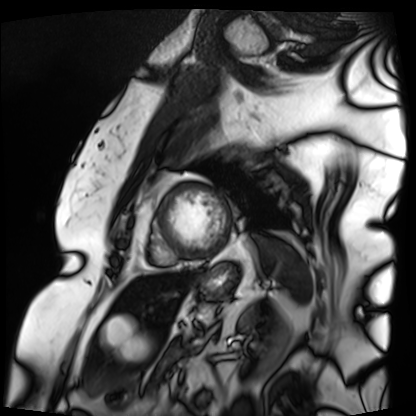
• modality: cardiac MRI
• subject group: patient